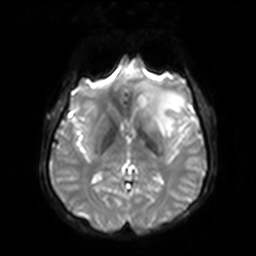
3 Tesla brain MRI. Series: diffusion-weighted imaging with SENSE (WIP). Study: ring-enhancing brain masses.